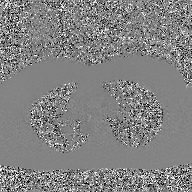
modality: 2D phase-contrast cine MRI of the ascending aorta, GAN super-resolution reconstruction